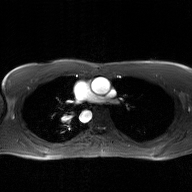
2D phase-contrast cine MRI of the ascending aorta, GAN super-resolution reconstruction.